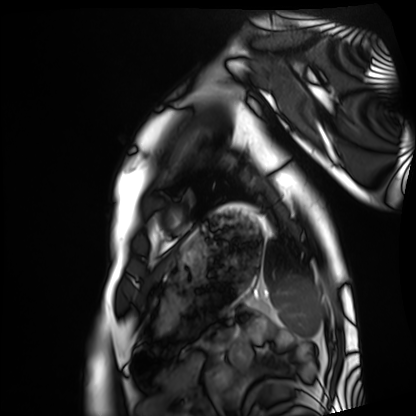
modality: cardiac MRI
subject group: healthy volunteer